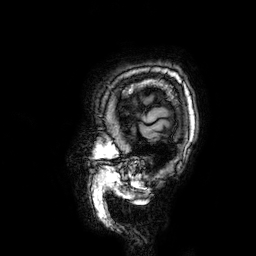
Case summary:
3 Tesla brain MRI. Series: 3D T1-weighted. Study: ring-enhancing brain masses.